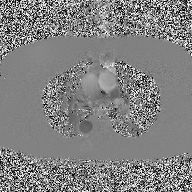
modality: 2D phase-contrast cine MRI of the ascending aorta.